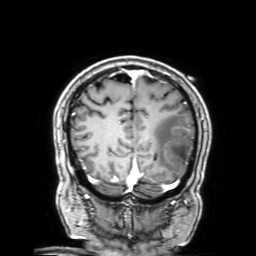
Case summary:
3 Tesla brain MRI. Series: 3D T1-weighted with SENSE. Study: ring-enhancing brain masses.